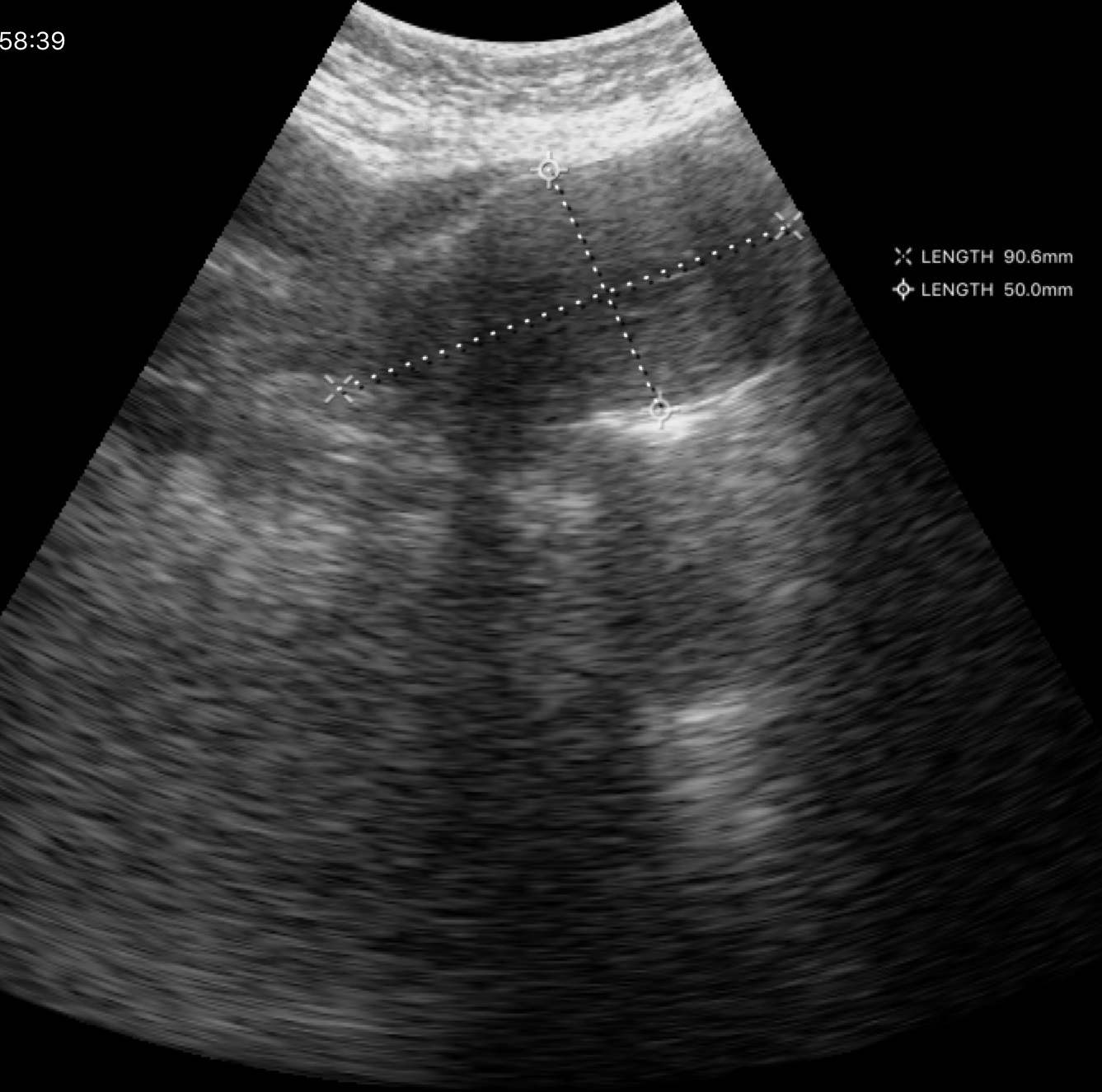
modality: genitourinary ultrasound